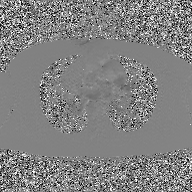
modality = 2D phase-contrast cine MRI of the ascending aorta, GAN super-resolution reconstruction